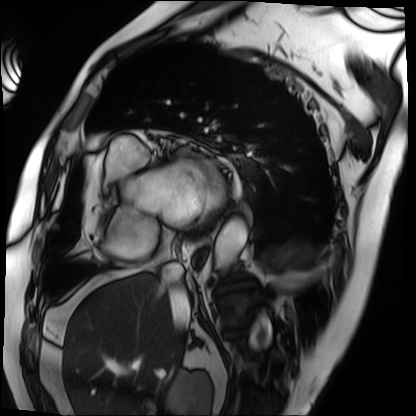
Cardiac MRI.
Subject group: patient.